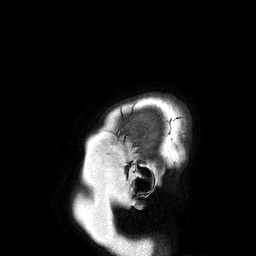
modality: 3 Tesla brain MRI
study: ring-enhancing brain masses